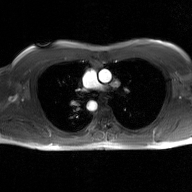
Q: What kind of scan is this?
A: 2D phase-contrast cine MRI of the ascending aorta, GAN super-resolution reconstruction.